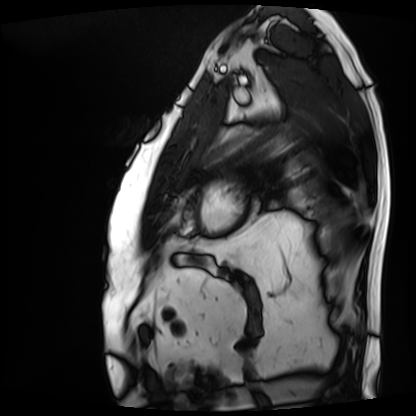
Cardiac MRI. Subject group: patient.